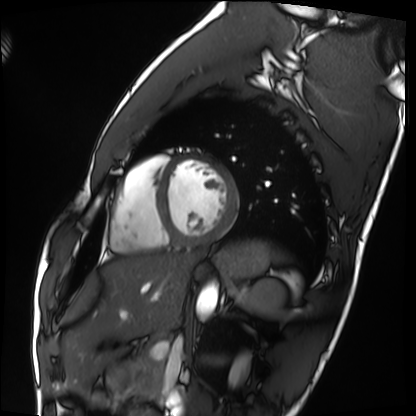
Cardiac MRI. Subject group: healthy volunteer.